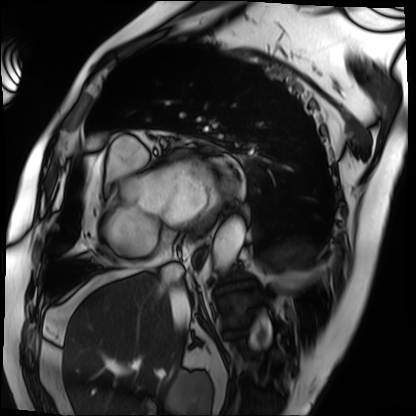
<scan>
  <modality>cardiac MRI</modality>
  <cohort>patient</cohort>
</scan>